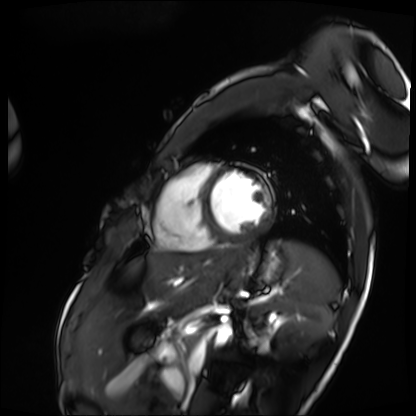
Cardiac MRI.
Subject group: patient.